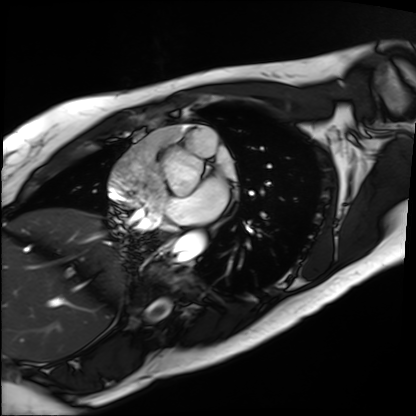
{"modality": "cardiac MRI", "cohort": "patient"}